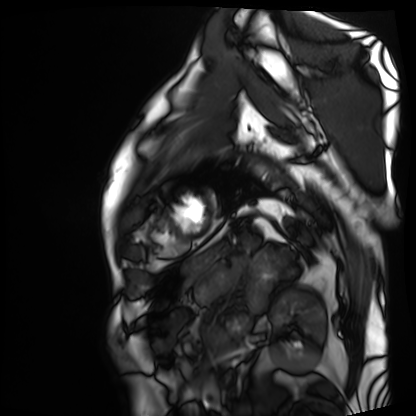
Cardiac MRI.
Subject group: patient.